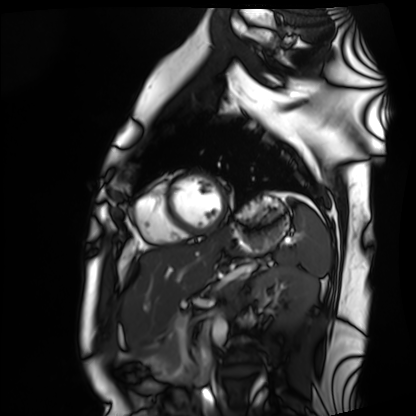
Case summary: Cardiac MRI. Subject group: healthy volunteer.